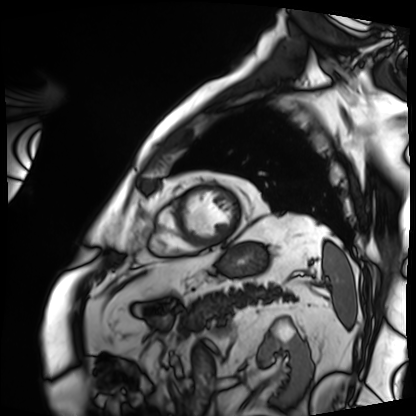
{
  "modality": "cardiac MRI",
  "cohort": "patient"
}